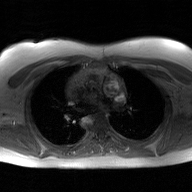
Q: What kind of scan is this?
A: 2D phase-contrast cine MRI of the ascending aorta, GAN super-resolution reconstruction.